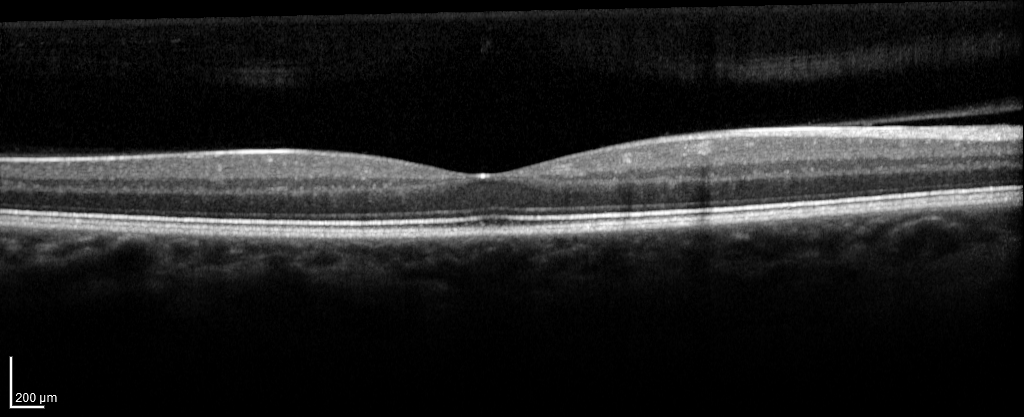
Spectral-domain optical coherence tomography (SD-OCT) of the macula.
Subject: female, age 44, right eye.
Cohort: non-diabetic control.
ETDRS-grid retinal thickness (μm): central 280, inner temporal 332, inner nasal 346, inner superior 346, inner inferior 338, outer temporal 286, outer nasal 321, outer superior 310.